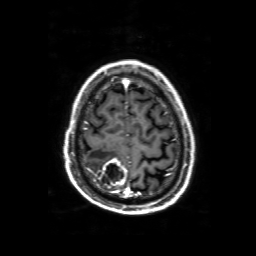
  modality:
    type: brain MRI
    field_strength: 3T
  series: 3D T1-weighted with SENSE
  study_topic: ring-enhancing brain masses